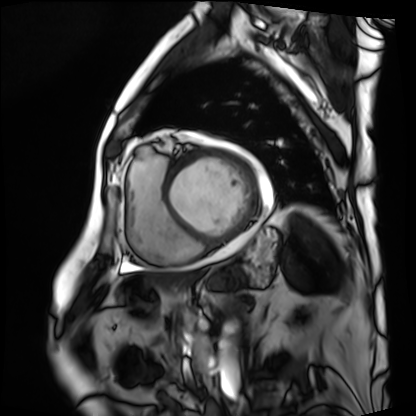
Cardiac MRI. Subject group: patient.